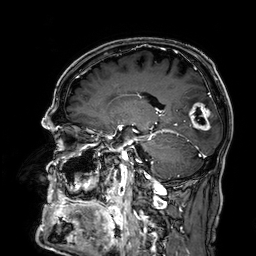
modality = 3 Tesla brain MRI; series = 3D T1-weighted; study = ring-enhancing brain masses.